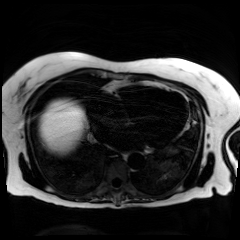
{
  "modality": "chemical-shift-encoded cardiac MRI"
}